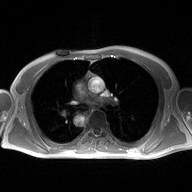
Summary: 2D phase-contrast cine MRI of the ascending aorta, high-resolution GRAPPA acquisition.